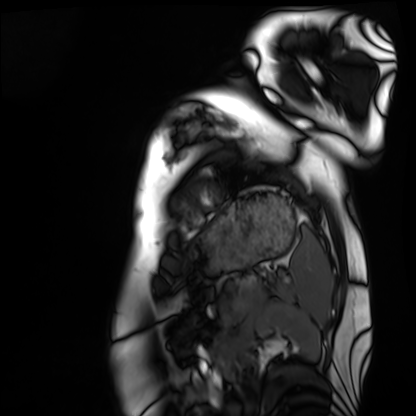
Cardiac MRI.
Subject group: healthy volunteer.